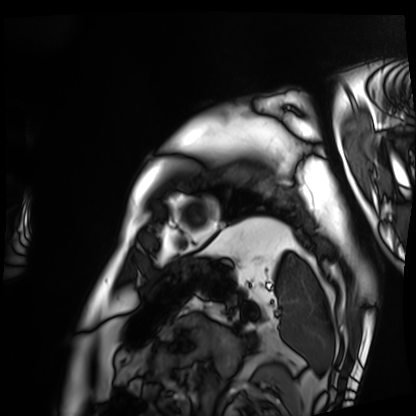
<case>
  <modality>cardiac MRI</modality>
  <cohort>patient</cohort>
</case>